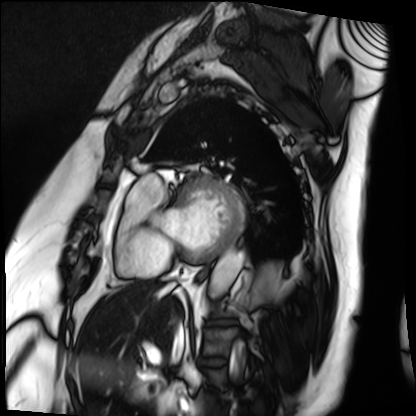
modality: cardiac MRI
cohort: patient